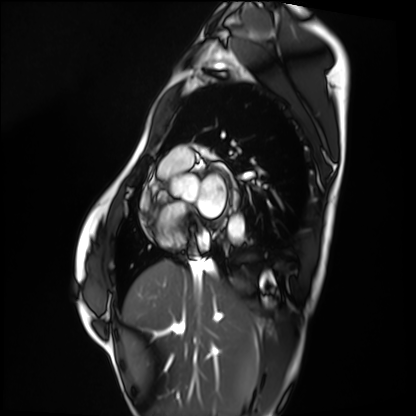
Cardiac MRI.
Subject group: healthy volunteer.